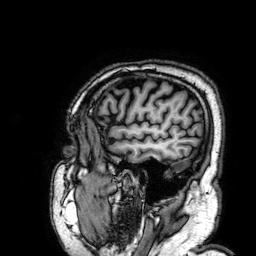
• modality — 3 Tesla brain MRI
• series — 3D T1-weighted
• study — ring-enhancing brain masses